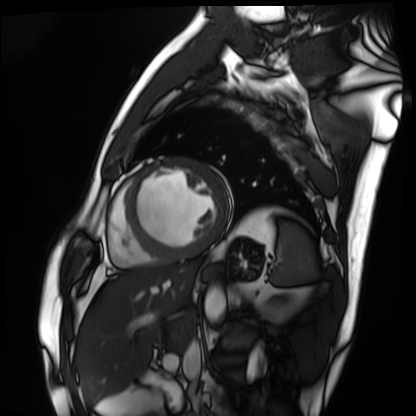
Clinical context: Cardiac MRI. Subject group: patient.